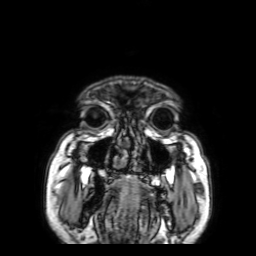
Q: What kind of scan is this?
A: 3 Tesla brain MRI.
Q: Series?
A: 3D T1-weighted with SENSE.
Study: ring-enhancing brain masses.